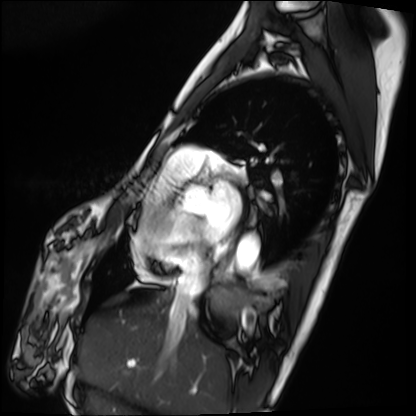
Cardiac MRI.
Subject group: patient.